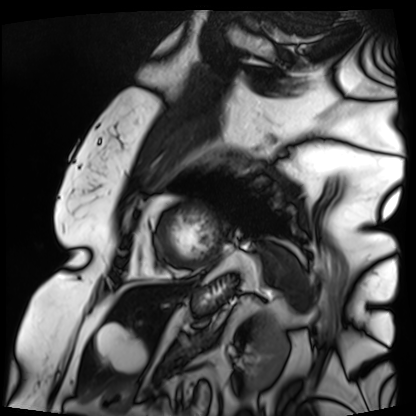
| field | value |
|---|---|
| modality | cardiac MRI |
| subject group | patient |